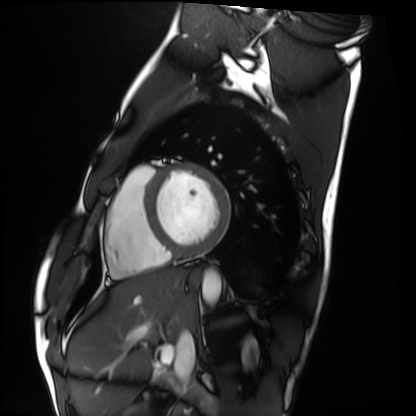
modality: cardiac MRI | subject group: healthy volunteer.